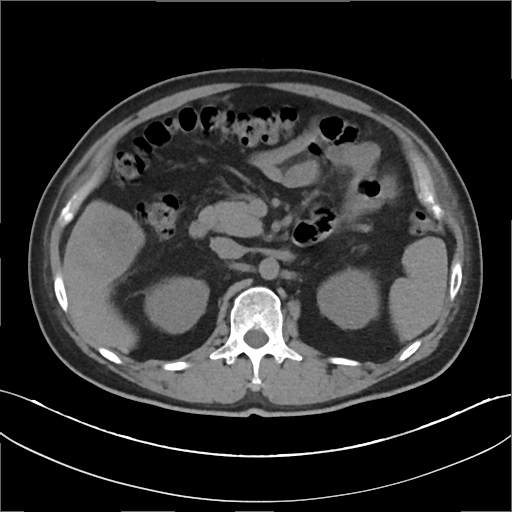
Case summary: Multiphase abdominal CT, liver, non-contrast phase. Patient: male, age 46. History: cirrhosis, viral hepatitis.